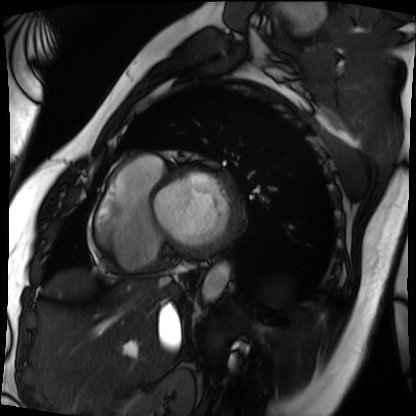
Q: What kind of scan is this?
A: Cardiac MRI.
Subject group: patient.